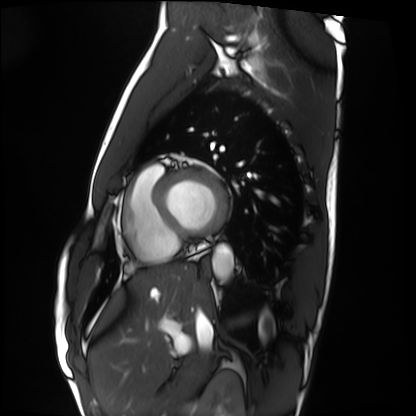
<scan>
  <modality>cardiac MRI</modality>
  <cohort>healthy volunteer</cohort>
</scan>